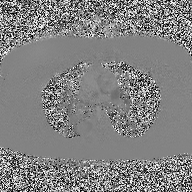
2D phase-contrast cine MRI of the ascending aorta, high-resolution GRAPPA acquisition.